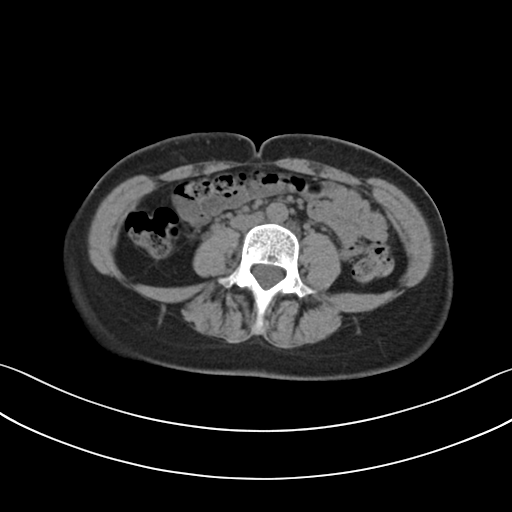
modality = multiphase abdominal CT, liver, non-contrast phase
patient = female, age 39
history = prior chemotherapy